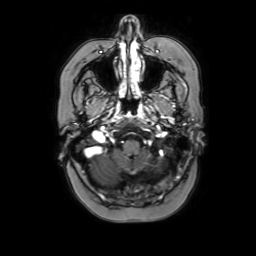
modality — 3 Tesla brain MRI | series — axial with contrast | study — ring-enhancing brain masses.